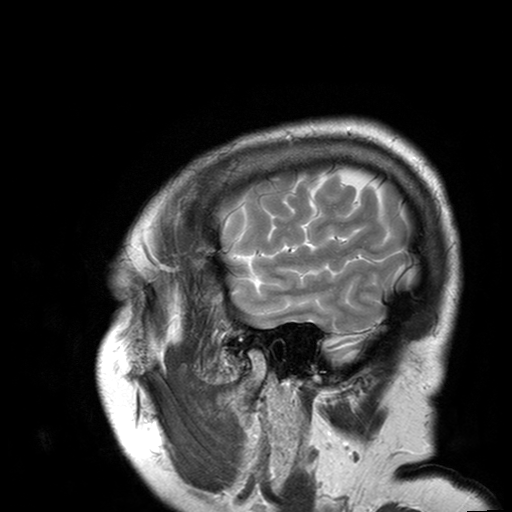
3 Tesla brain MRI.
Series: T2-weighted turbo spin echo with SENSE.
Study: ring-enhancing brain masses.